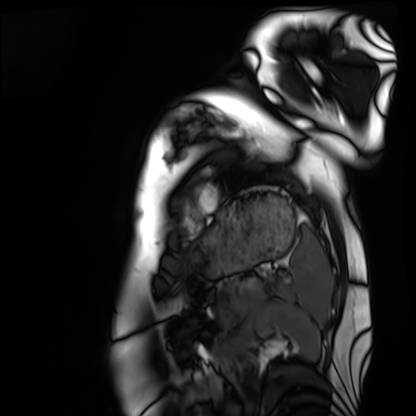
Cardiac MRI.
Subject group: healthy volunteer.